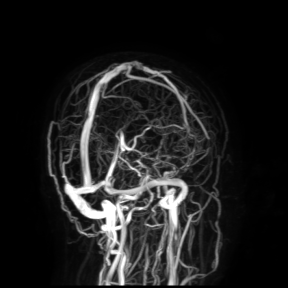
{"modality": {"type": "brain MRI", "field_strength": "3T"}, "study_topic": "ring-enhancing brain masses"}